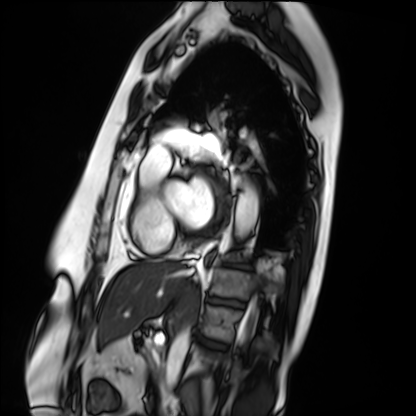
Case summary:
Cardiac MRI. Subject group: patient.